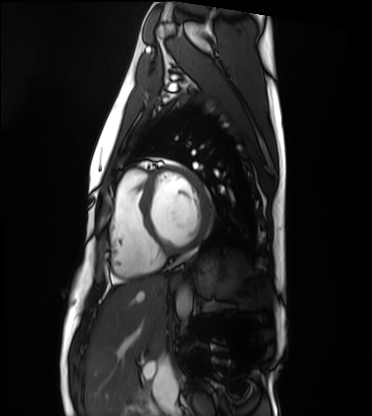
  modality: cardiac MRI
  cohort: healthy volunteer